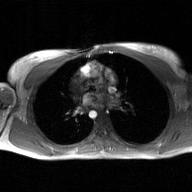
Case summary:
2D phase-contrast cine MRI of the ascending aorta, GAN super-resolution reconstruction.